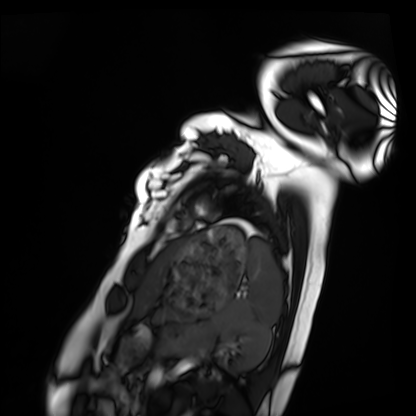
Cardiac MRI. Subject group: healthy volunteer.